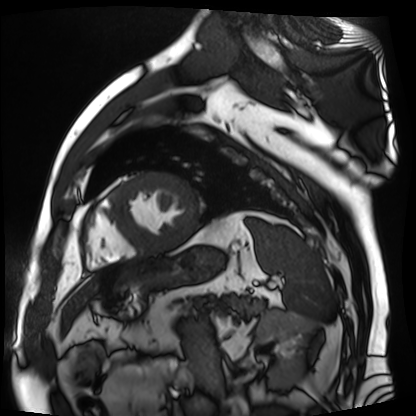
Clinical context: Cardiac MR image of the myocardium. Subject cohort: cardiac patient.